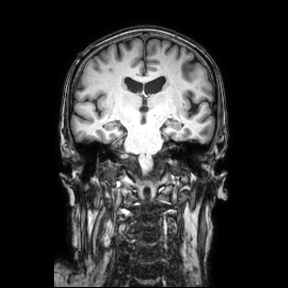
modality: 3 Tesla brain MRI
series: coronal
study: ring-enhancing brain masses